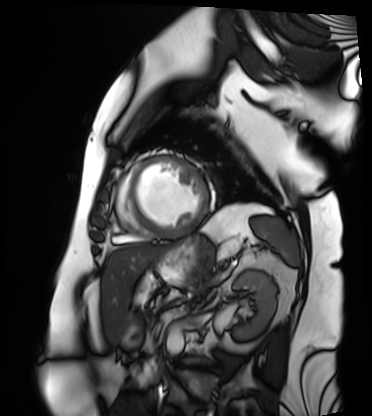
Case summary: Cardiac MRI. Subject group: patient.